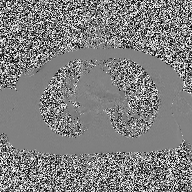
Clinical context:
2D phase-contrast cine MRI of the ascending aorta, high-resolution GRAPPA acquisition.